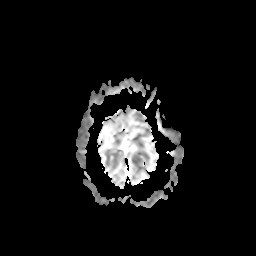
Summary: 3 Tesla brain MRI. Series: apparent diffusion coefficient (ADC) map. Study: ring-enhancing brain masses.